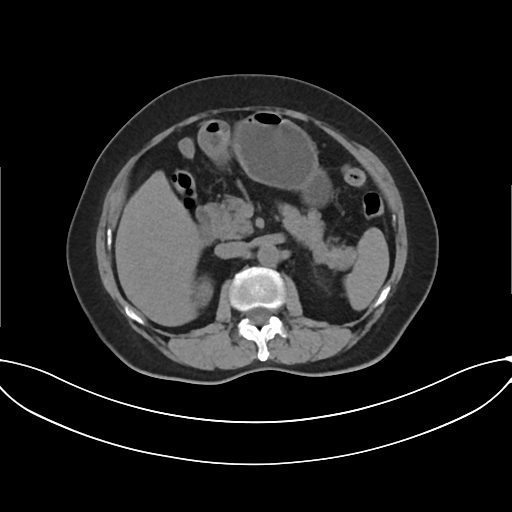
Q: What kind of scan is this?
A: Multiphase abdominal CT, liver, non-contrast phase.
Q: Patient?
A: Female, age 62.
Q: History?
A: Prior chemotherapy.